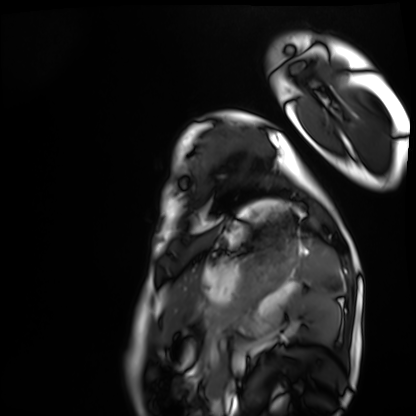
Cardiac MRI.
Subject group: healthy volunteer.